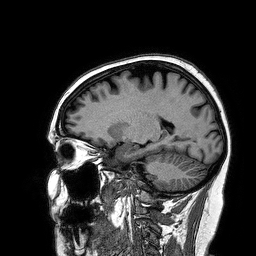
Case summary:
3 Tesla brain MRI. Series: 3D T1-weighted turbo field echo. Study: ring-enhancing brain masses.